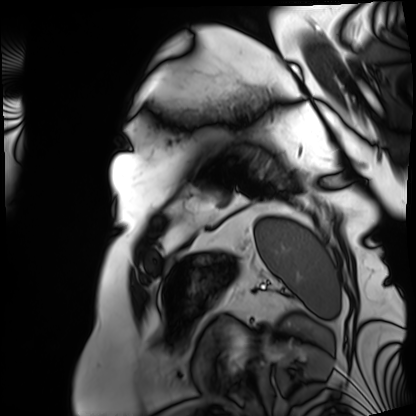
Case summary: Cardiac MRI. Subject group: patient.